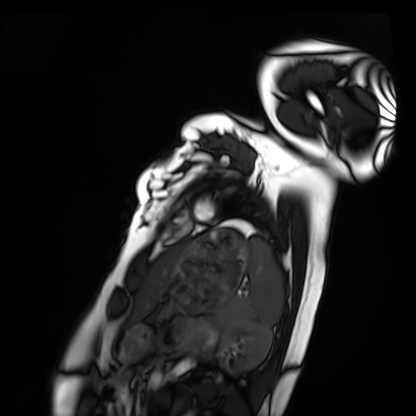
modality: cardiac MRI
cohort: healthy volunteer